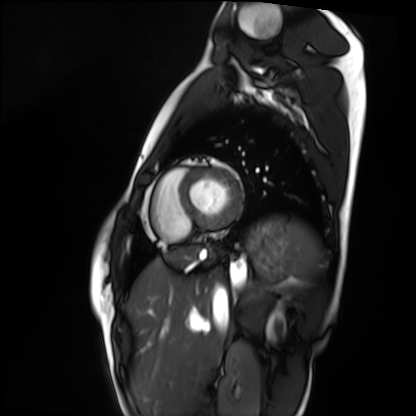
Q: What kind of scan is this?
A: Cardiac MRI.
Subject group: healthy volunteer.